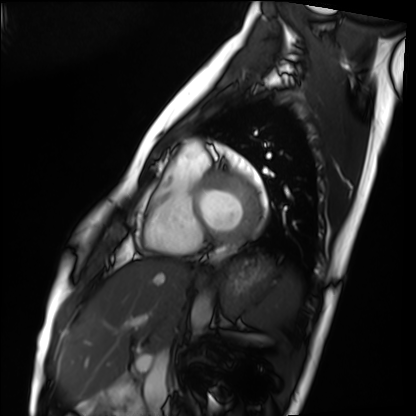
Q: What kind of scan is this?
A: Cardiac MRI.
Subject group: healthy volunteer.